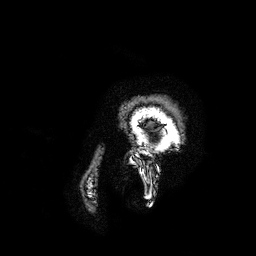
| field | value |
|---|---|
| modality | 3 Tesla brain MRI |
| series | 3D T1-weighted turbo field echo with SENSE |
| study | ring-enhancing brain masses |